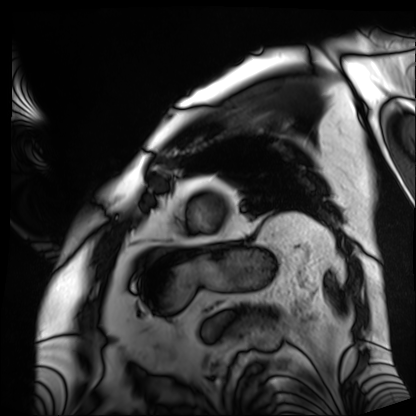
* modality: cardiac MRI
* subject group: patient